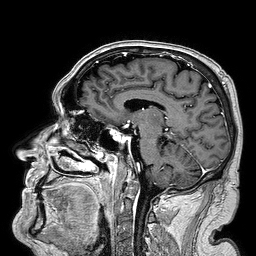
<study>
  <modality>
    <type>brain MRI</type>
    <field_strength>3T</field_strength>
  </modality>
  <series>3D T1-weighted turbo field echo</series>
  <study_topic>ring-enhancing brain masses</study_topic>
</study>